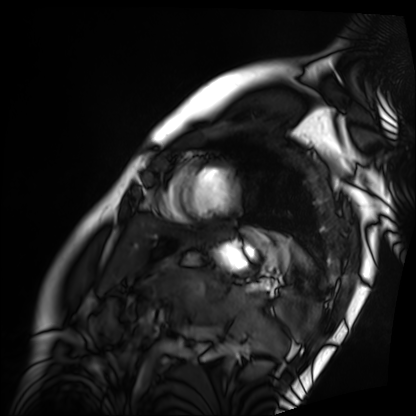
| field | value |
|---|---|
| modality | cardiac MRI |
| subject group | patient |